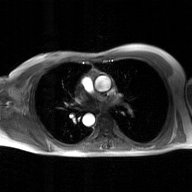
Q: What kind of scan is this?
A: 2D phase-contrast cine MRI of the ascending aorta, GAN super-resolution reconstruction.